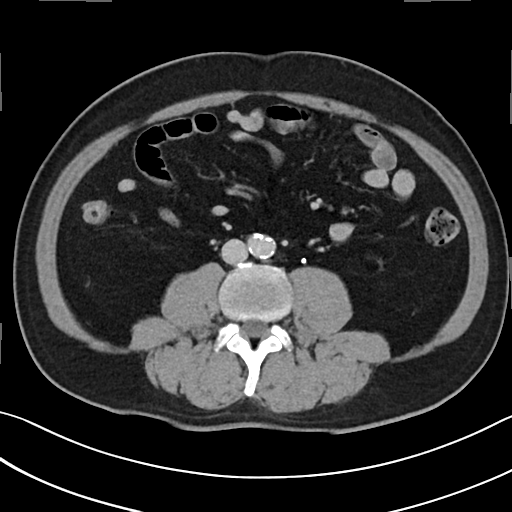
| field | value |
|---|---|
| modality | multiphase abdominal CT, liver, delayed phase |
| patient | male, age 53 |
| history | prior chemotherapy |